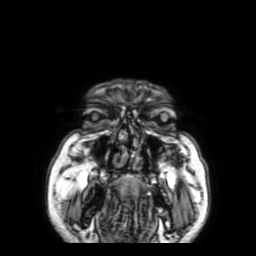
3 Tesla brain MRI. Series: 3D T1-weighted with SENSE. Study: ring-enhancing brain masses.